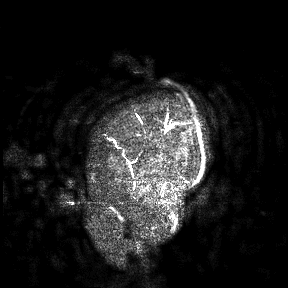
3 Tesla brain MRI. Study: ring-enhancing brain masses.